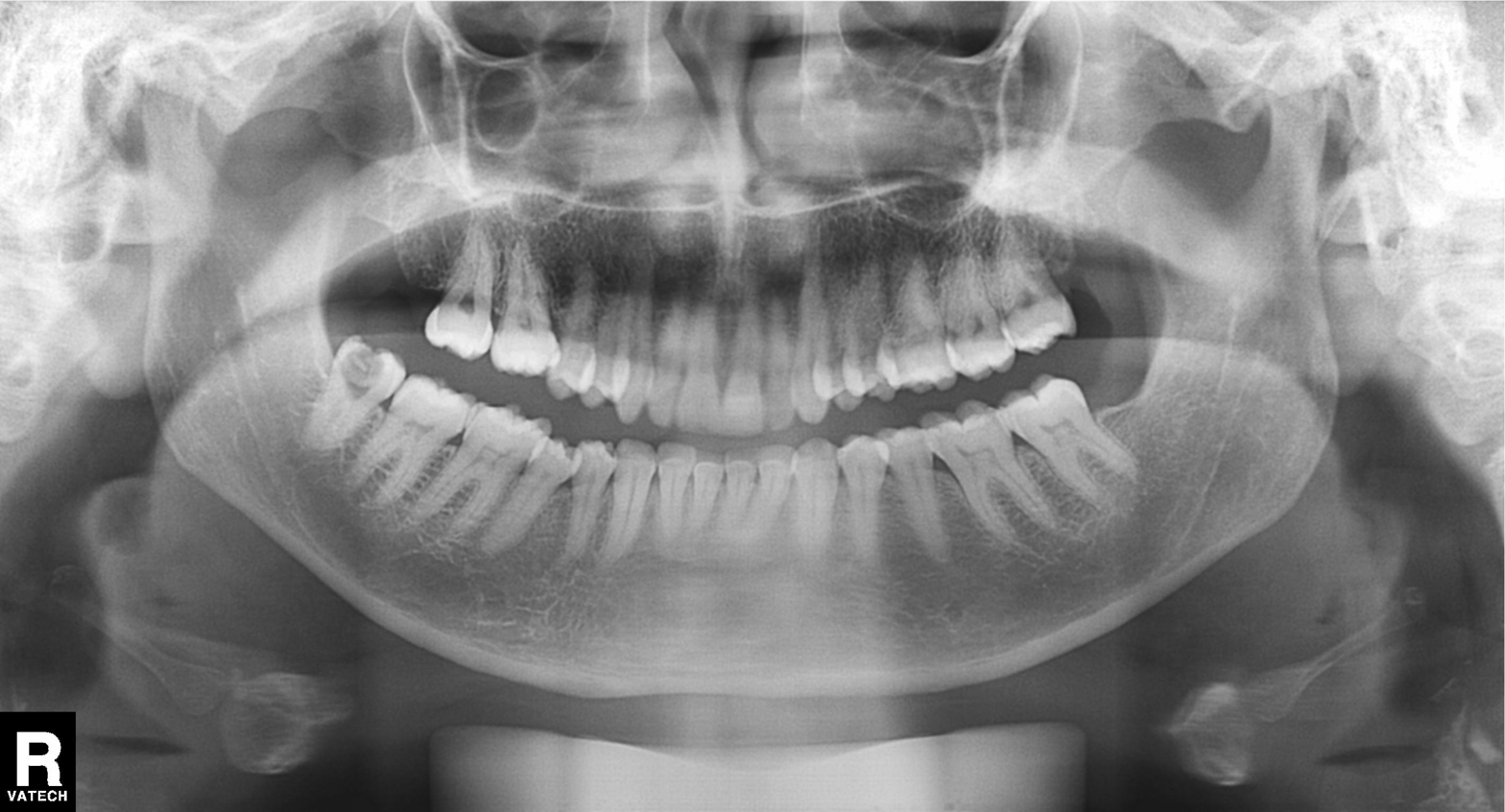
Summary: Panoramic dental radiograph (orthopantomogram).
Impression: Tooth impaction.